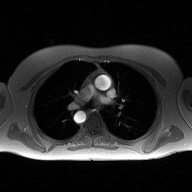
- modality — 2D phase-contrast cine MRI of the ascending aorta